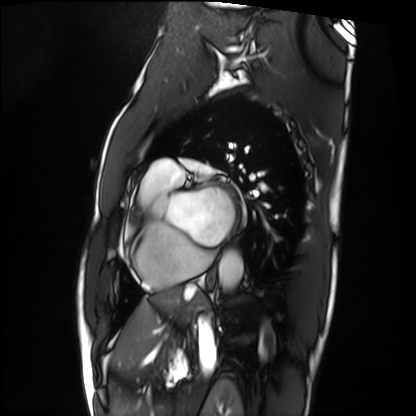
Summary:
Cardiac MRI. Subject group: patient.